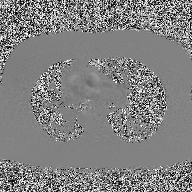
2D phase-contrast cine MRI of the ascending aorta, high-resolution GRAPPA acquisition.